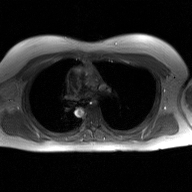
<study>
  <modality>
    <type>2D phase-contrast cine MRI</type>
    <region>ascending aorta</region>
    <reconstruction>GAN super-resolution reconstruction</reconstruction>
  </modality>
</study>